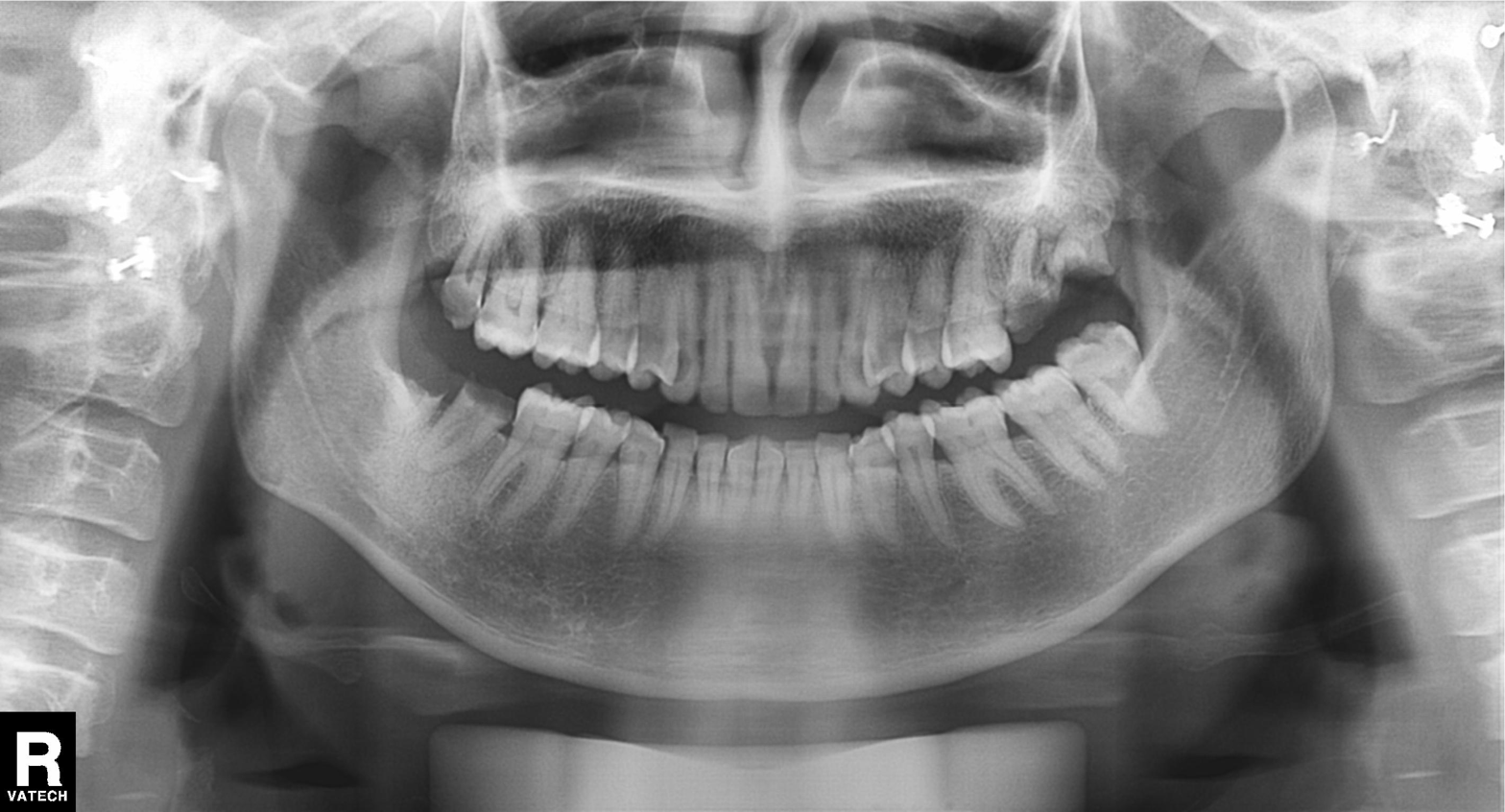
modality: panoramic dental radiograph (orthopantomogram) | finding: dental caries (cavities).